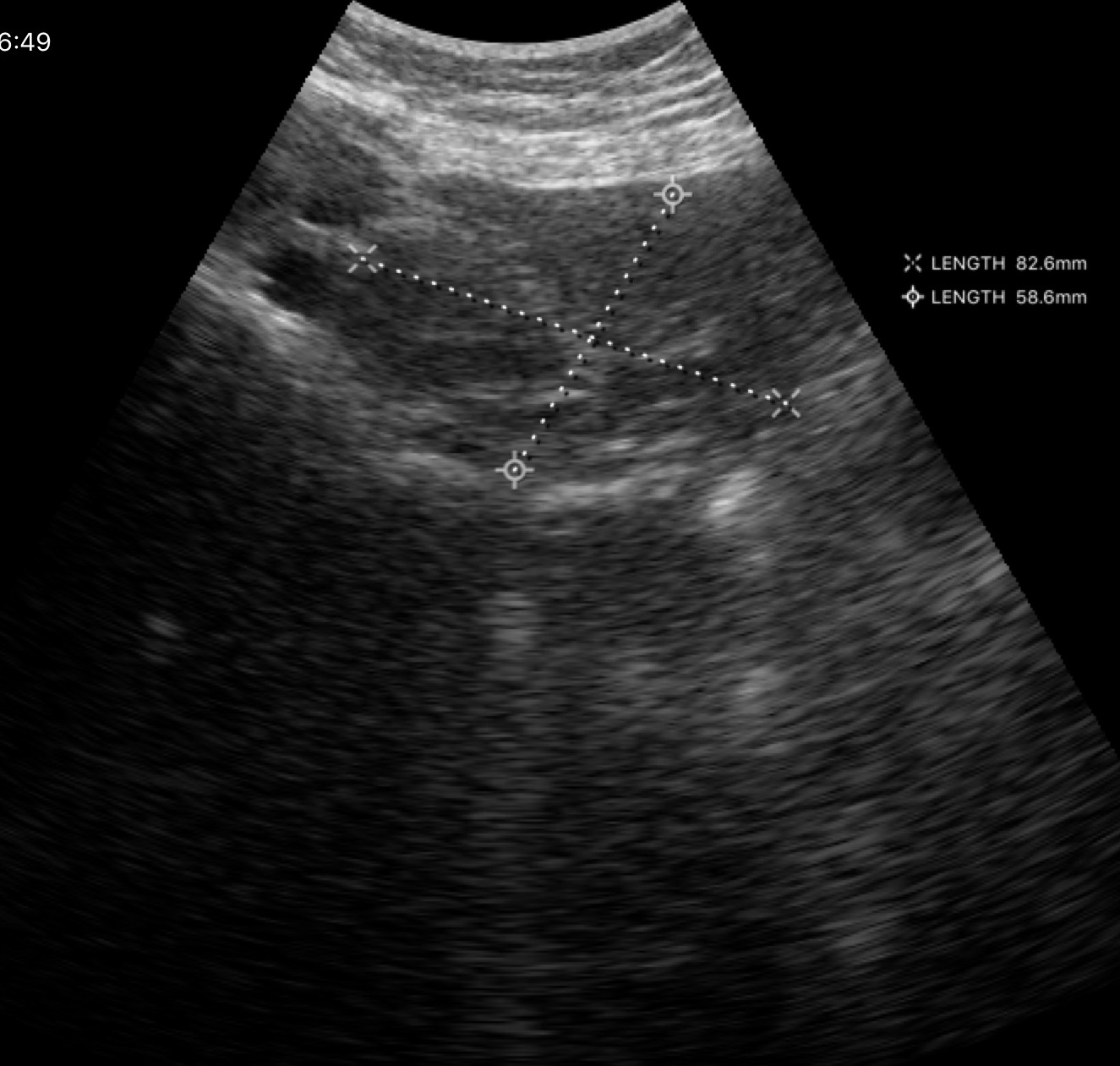
Genitourinary ultrasound.